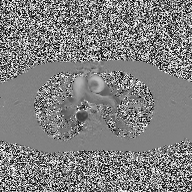
Clinical context: 2D phase-contrast cine MRI of the ascending aorta, high-resolution GRAPPA acquisition.